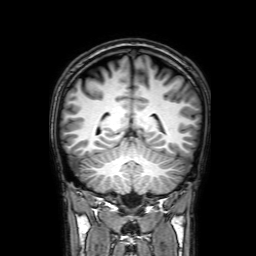
modality=3 Tesla brain MRI; series=3D T1-weighted with SENSE; study=ring-enhancing brain masses.